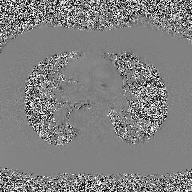
2D phase-contrast cine MRI of the ascending aorta, high-resolution GRAPPA acquisition.